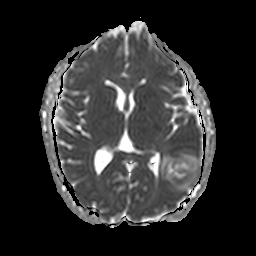
Summary:
3 Tesla brain MRI. Study: ring-enhancing brain masses.